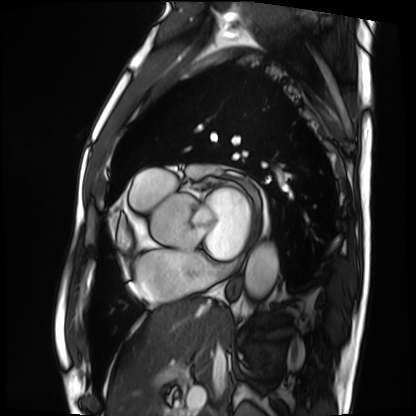
| field | value |
|---|---|
| modality | cardiac MRI |
| subject group | patient |